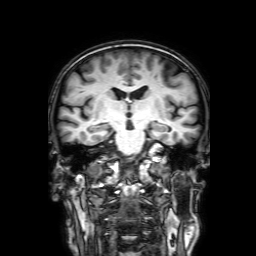
Summary:
3 Tesla brain MRI. Series: 3D T1-weighted with SENSE. Study: ring-enhancing brain masses.